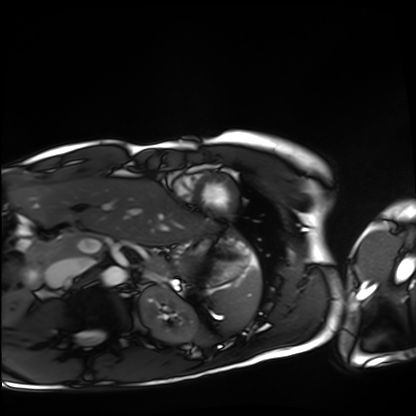
Cardiac MRI.
Subject group: healthy volunteer.